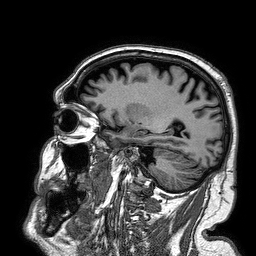
Q: What kind of scan is this?
A: 3 Tesla brain MRI.
Q: Series?
A: 3D T1-weighted turbo field echo.
Study: ring-enhancing brain masses.